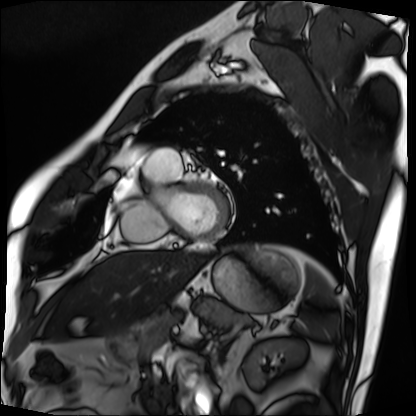
modality — cardiac MRI
subject group — patient